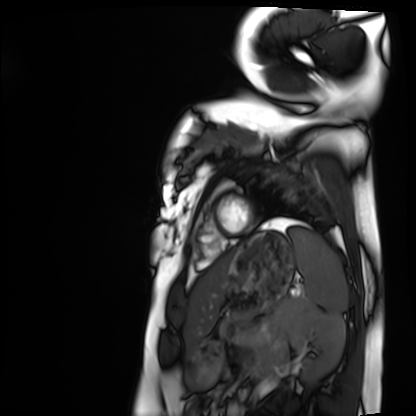
Summary:
Cardiac MRI. Subject group: healthy volunteer.